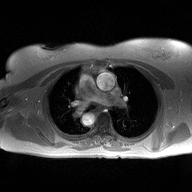
2D phase-contrast cine MRI of the ascending aorta, high-resolution GRAPPA acquisition.